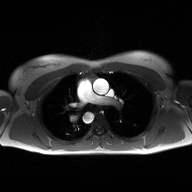
modality = 2D phase-contrast cine MRI of the ascending aorta